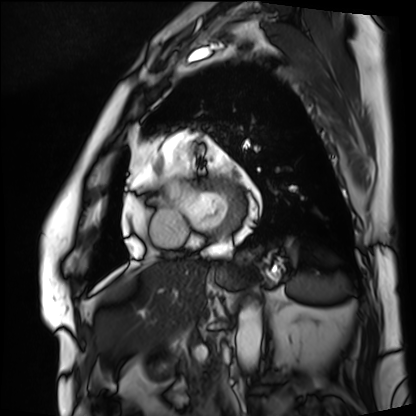
  modality: cardiac MRI
  cohort: patient